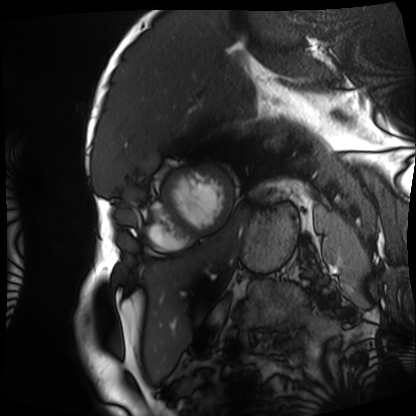
{"modality": "cardiac MRI", "cohort": "patient"}